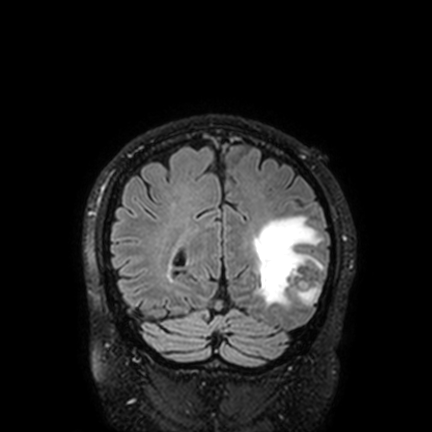
Clinical context:
3 Tesla brain MRI. Series: FLAIR VISTA with SENSE. Study: ring-enhancing brain masses.